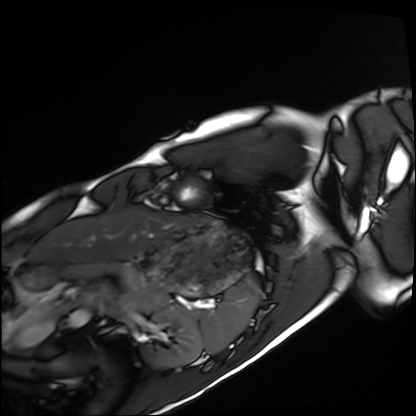
<case>
  <modality>cardiac MRI</modality>
  <cohort>healthy volunteer</cohort>
</case>